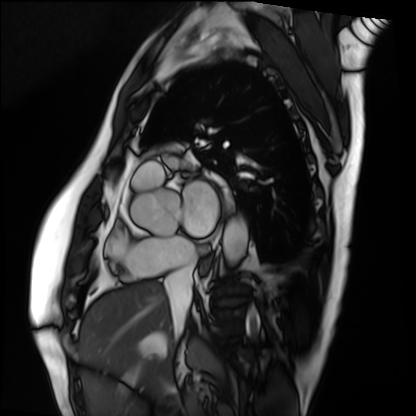
Case summary:
Cardiac MRI. Subject group: patient.